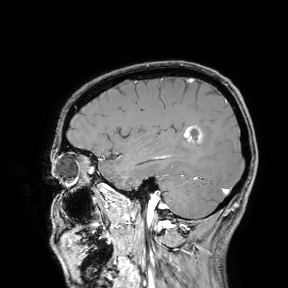
modality = 3 Tesla brain MRI; study = ring-enhancing brain masses.